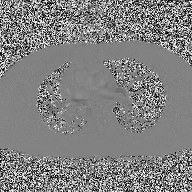
Case summary: 2D phase-contrast cine MRI of the ascending aorta, high-resolution GRAPPA acquisition.